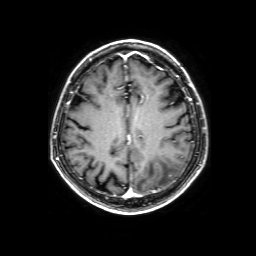
<record>
<modality>
  <type>brain MRI</type>
  <field_strength>3T</field_strength>
</modality>
<series>3D T1-weighted with SENSE</series>
<study_topic>ring-enhancing brain masses</study_topic>
</record>